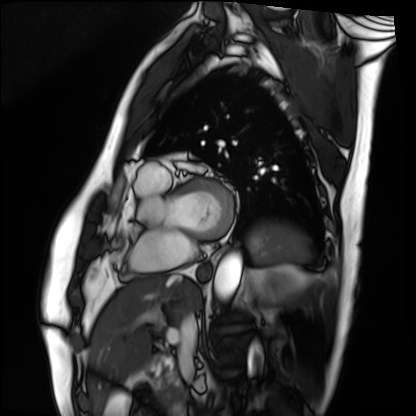
modality = cardiac MRI, subject group = patient.